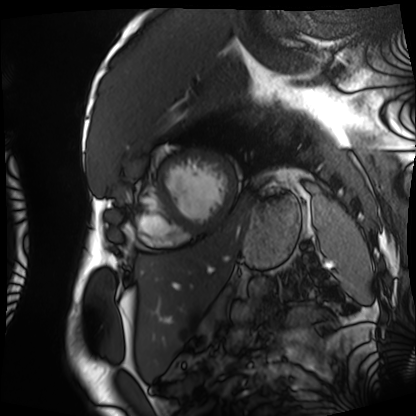
Q: What kind of scan is this?
A: Cardiac MRI.
Subject group: patient.